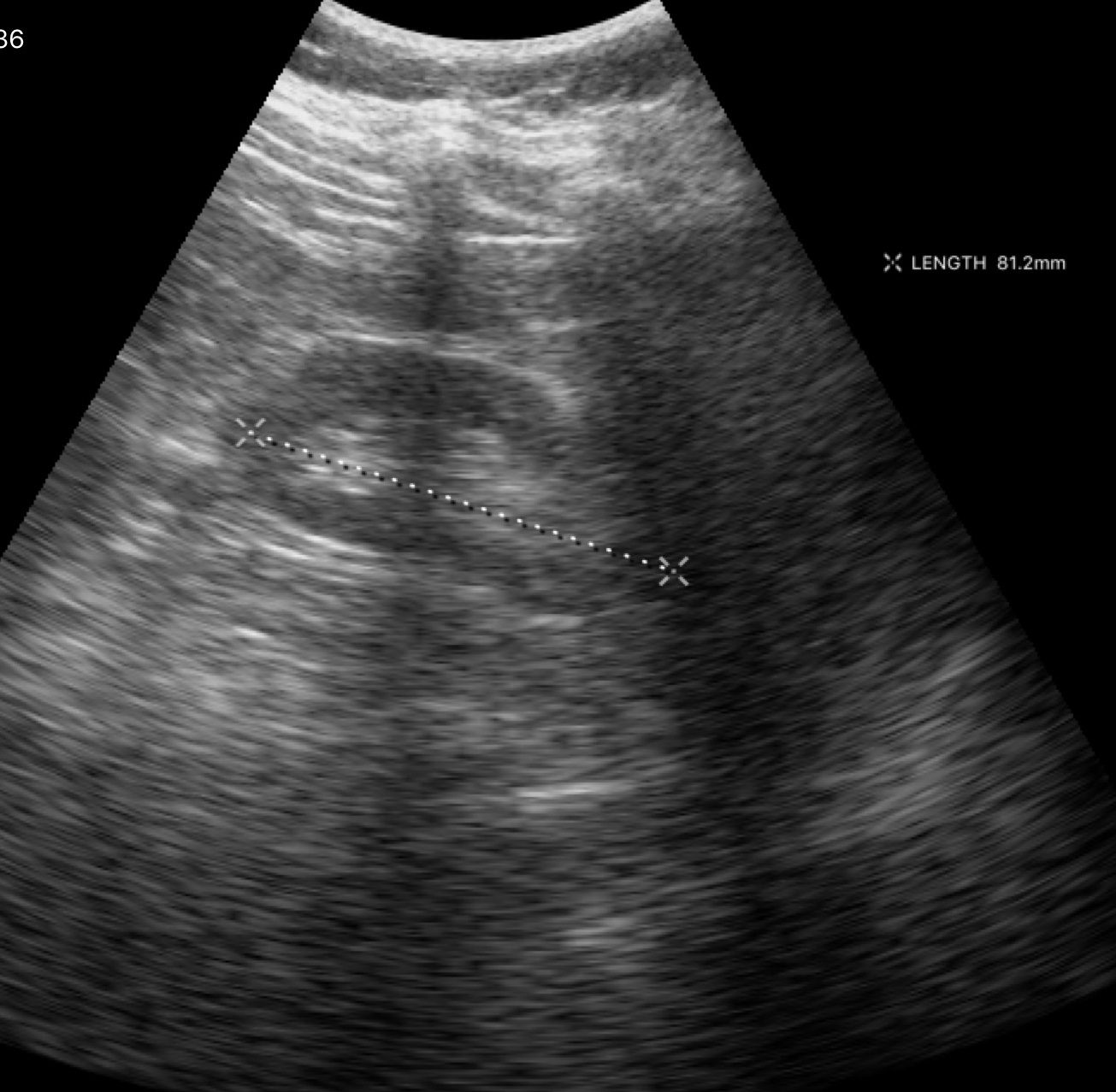
Genitourinary ultrasound.